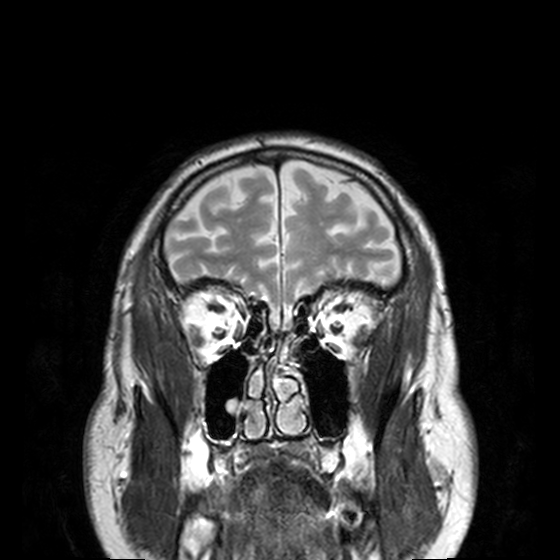
{
  "modality": {
    "type": "brain MRI",
    "field_strength": "3T"
  },
  "series": "T2-weighted turbo spin echo, 3 mm",
  "study_topic": "ring-enhancing brain masses"
}